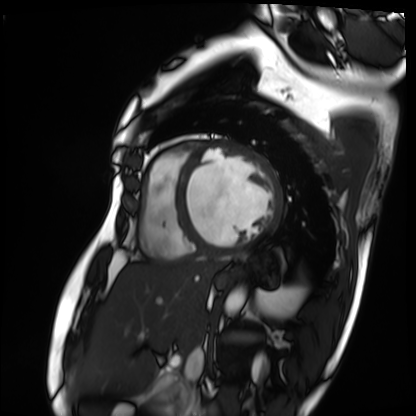
Cardiac MRI.
Subject group: patient.